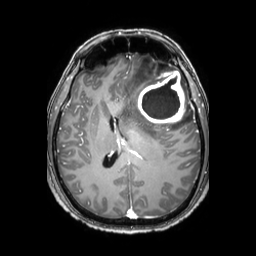
* modality: 3 Tesla brain MRI
* series: 3D T1-weighted TFE with SENSE
* study: ring-enhancing brain masses